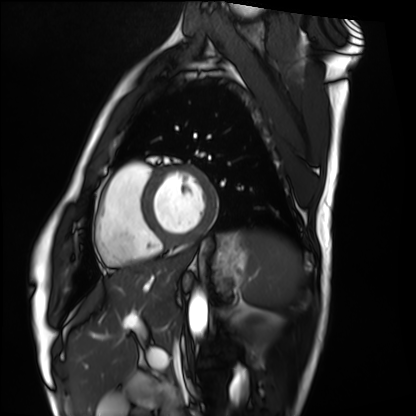
Cardiac MRI. Subject group: healthy volunteer.